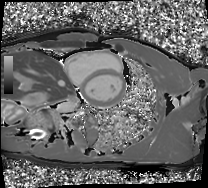
Summary:
Cardiac MRI. Subject group: healthy volunteer.